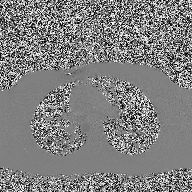
Case:
– modality: 2D phase-contrast cine MRI of the ascending aorta